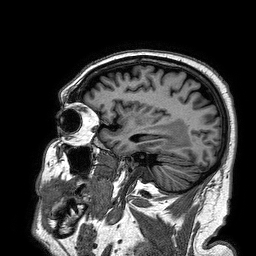
Q: What kind of scan is this?
A: 3 Tesla brain MRI.
Q: Series?
A: 3D T1-weighted turbo field echo.
Study: ring-enhancing brain masses.